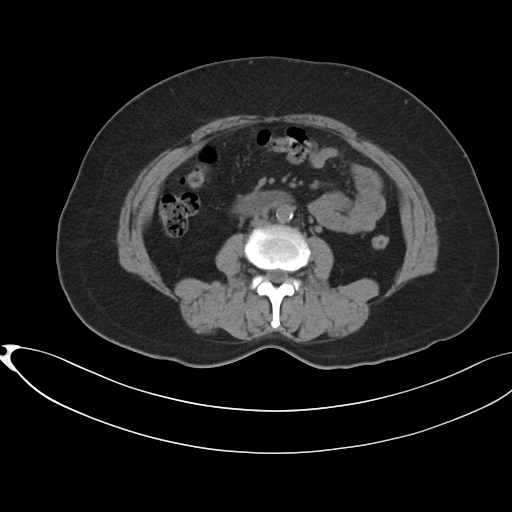
Multiphase abdominal CT, liver, non-contrast phase.
Patient: female, age 54.
History: prior chemotherapy.